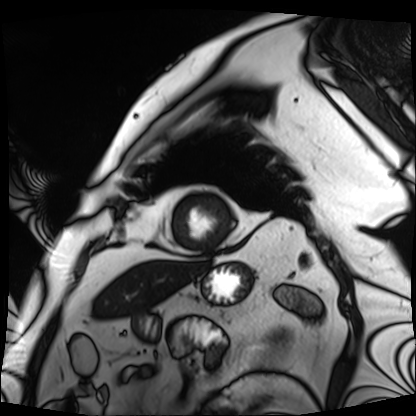
Cardiac MRI. Subject group: patient.